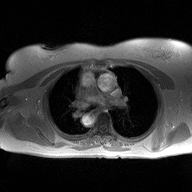
2D phase-contrast cine MRI of the ascending aorta, high-resolution GRAPPA acquisition.